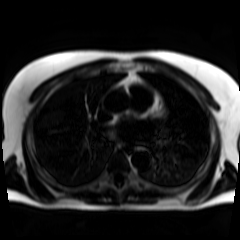
Chemical-shift-encoded cardiac MRI.